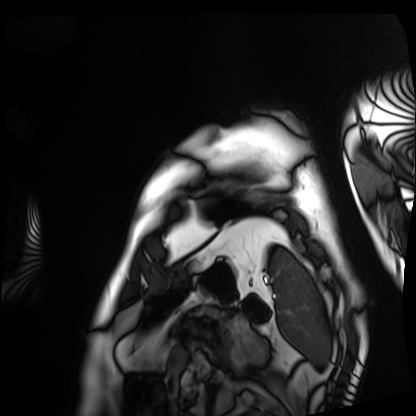
modality — cardiac MRI; subject group — patient.